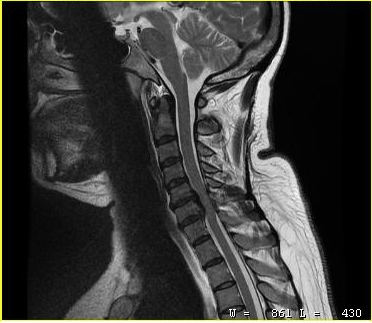
Clinical context:
MRI of the cervical spine. Study: cervical spondylosis.